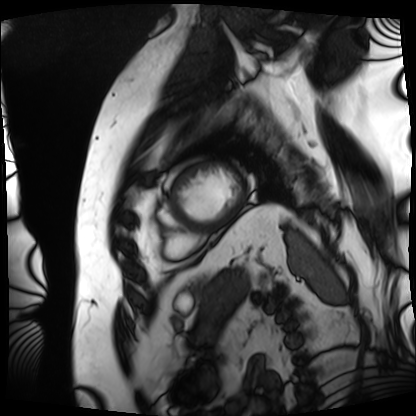
modality — cardiac MRI
subject group — patient